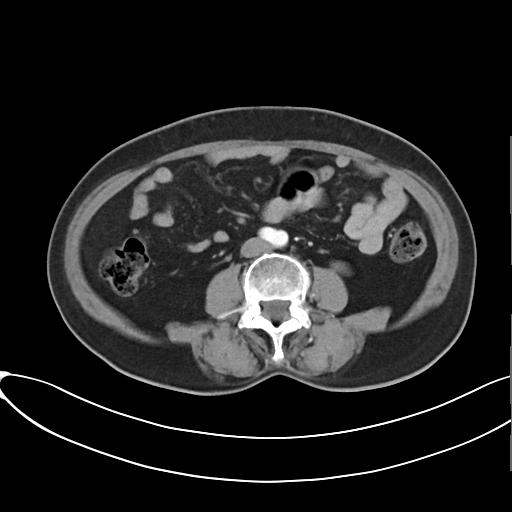
• modality: multiphase abdominal CT, liver, arterial phase
• patient: female, age 61